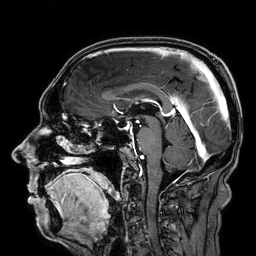
modality: 3 Tesla brain MRI; series: 3D T1-weighted; study: ring-enhancing brain masses.